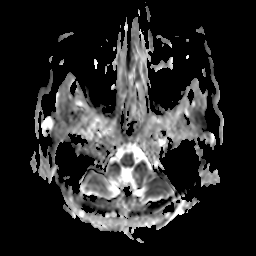
modality = 3 Tesla brain MRI
series = apparent diffusion coefficient (ADC) map
study = ring-enhancing brain masses